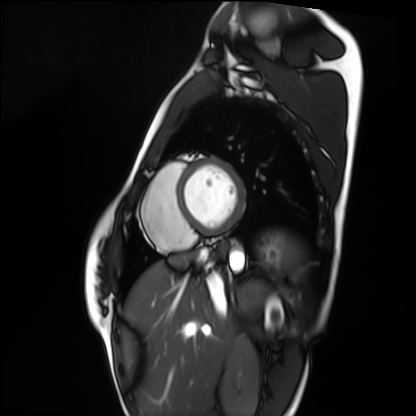
Case summary: Cardiac MRI. Subject group: healthy volunteer.